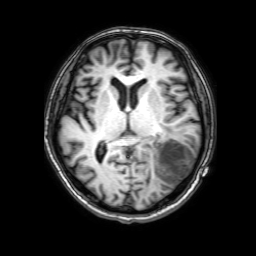
Q: What kind of scan is this?
A: 3 Tesla brain MRI.
Q: Series?
A: 3D T1-weighted with SENSE.
Study: ring-enhancing brain masses.